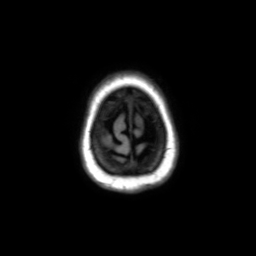
Q: What kind of scan is this?
A: 3 Tesla brain MRI.
Q: Series?
A: Axial without contrast.
Study: ring-enhancing brain masses.